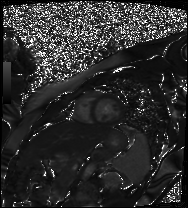
Cardiac MR image of the myocardium. Subject cohort: healthy volunteer.